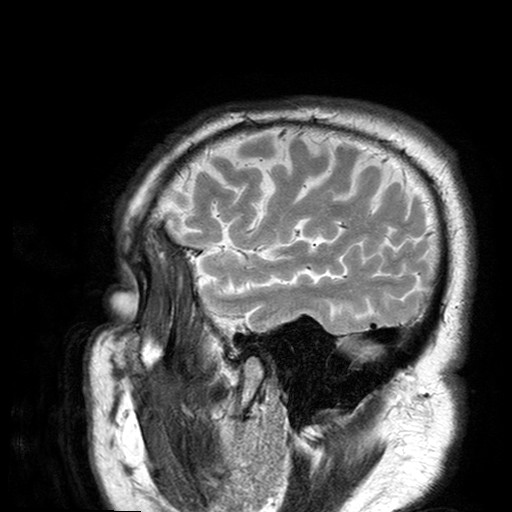
  modality:
    type: brain MRI
    field_strength: 3T
  series: T2-weighted turbo spin echo with SENSE
  study_topic: ring-enhancing brain masses